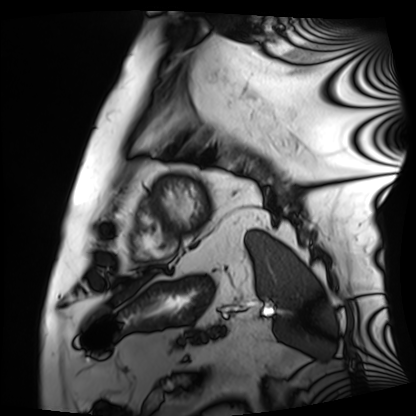
Summary:
Cardiac MRI. Subject group: patient.